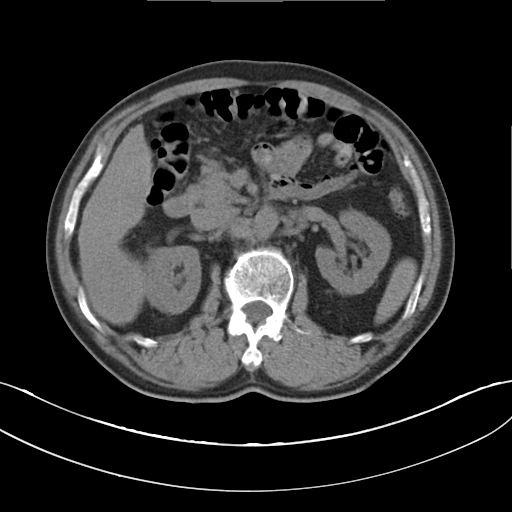
Q: What kind of scan is this?
A: Multiphase abdominal CT, liver, non-contrast phase.
Q: Patient?
A: Male, age 62.
Q: History?
A: Cirrhosis, viral hepatitis.